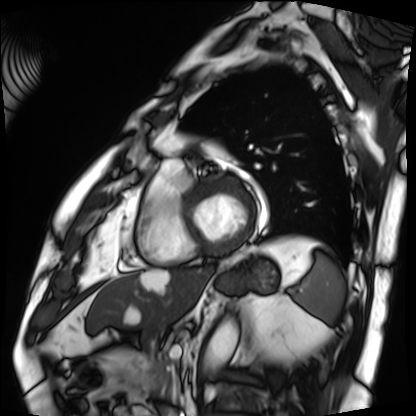
modality = cardiac MRI; subject group = patient.